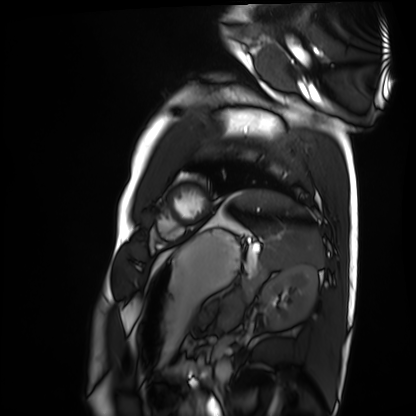
Q: What kind of scan is this?
A: Cardiac MRI.
Subject group: healthy volunteer.